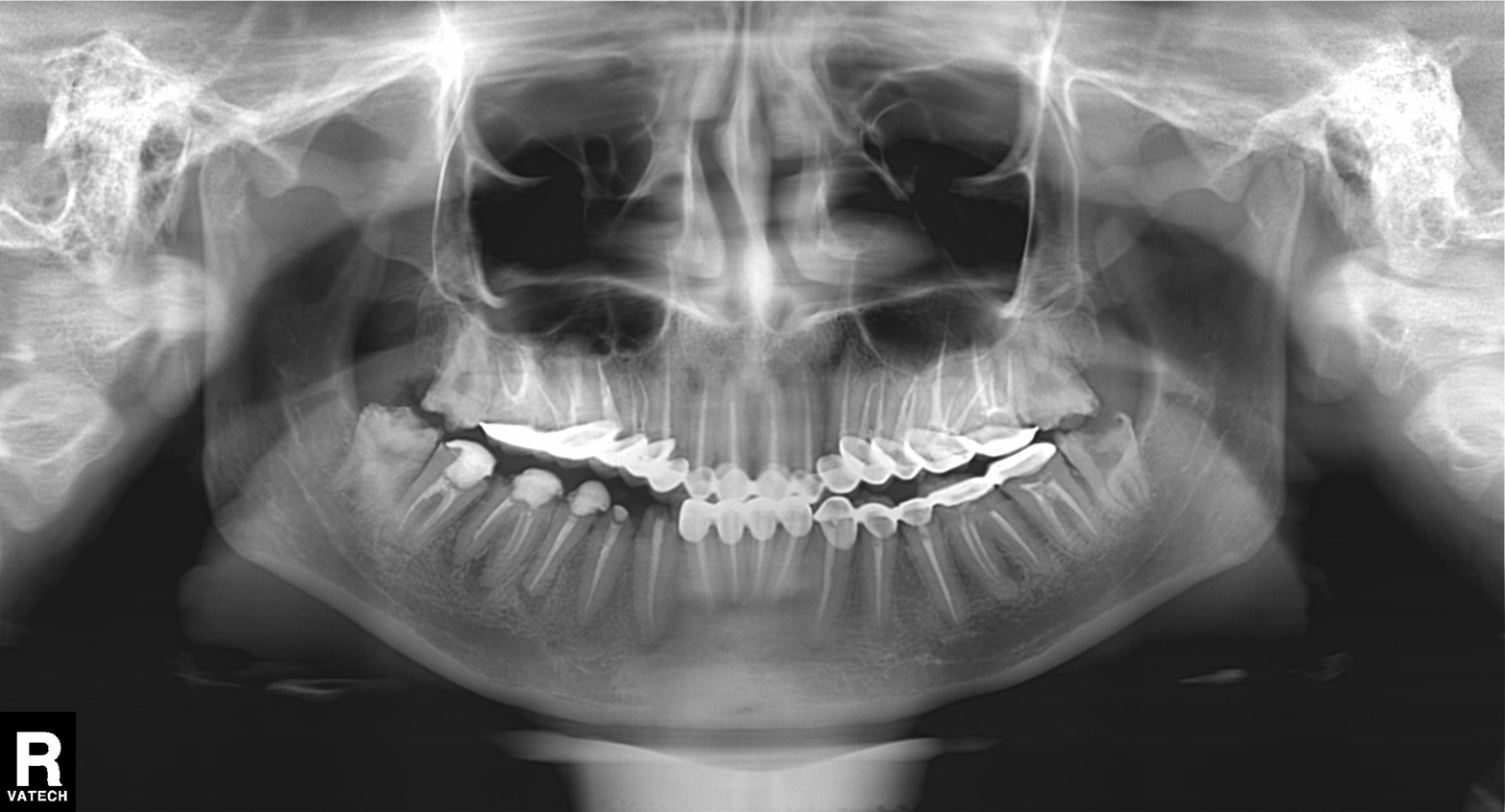
<record>
  <modality>panoramic dental radiograph (orthopantomogram)</modality>
  <finding>alveolar bone loss</finding>
</record>